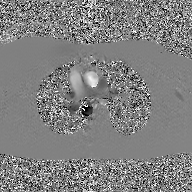
Clinical context: 2D phase-contrast cine MRI of the ascending aorta, GAN super-resolution reconstruction.